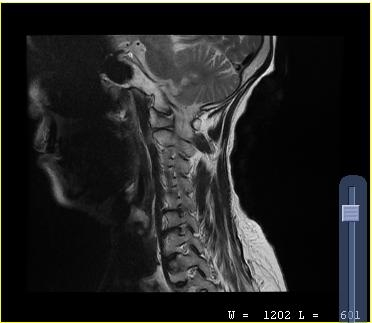
modality = MRI of the cervical spine
study = cervical spondylosis